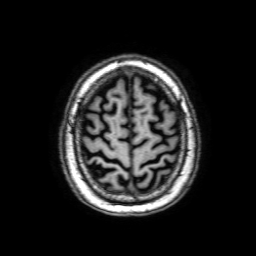
3 Tesla brain MRI.
Series: 3D T1-weighted with SENSE.
Study: ring-enhancing brain masses.